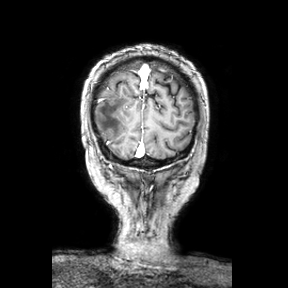
Case summary:
3 Tesla brain MRI. Series: coronal. Study: ring-enhancing brain masses.